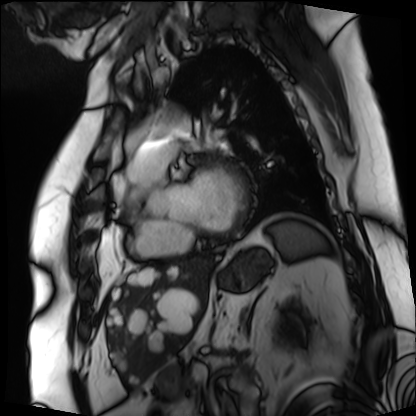
Cardiac MRI.
Subject group: patient.